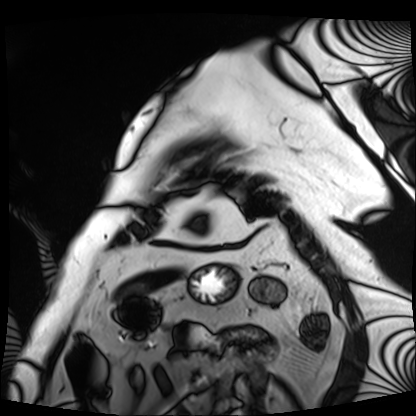
<scan>
  <modality>cardiac MRI</modality>
  <cohort>patient</cohort>
</scan>